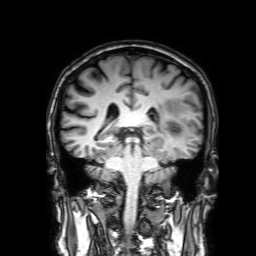
Case summary:
3 Tesla brain MRI. Study: ring-enhancing brain masses.